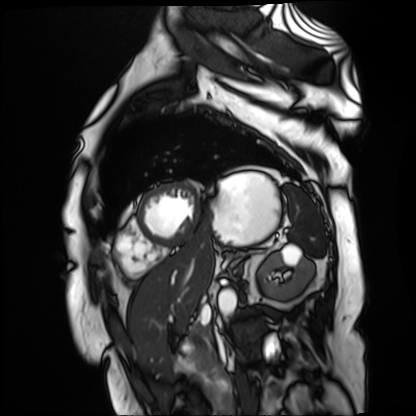
| field | value |
|---|---|
| modality | cardiac MR image of the myocardium |
| subject cohort | cardiac patient |